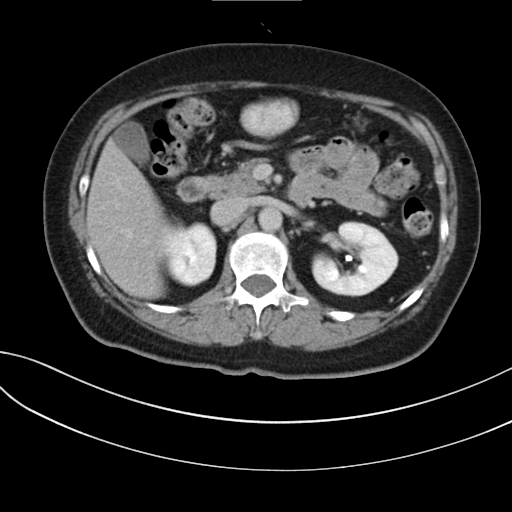
Multiphase abdominal CT, liver, delayed phase.
Patient: female, age 59.